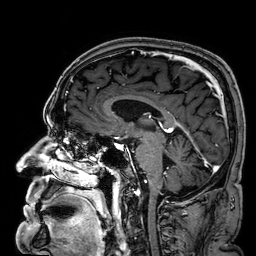
  modality:
    type: brain MRI
    field_strength: 3T
  series: 3D T1-weighted
  study_topic: ring-enhancing brain masses